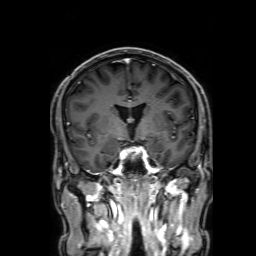
3 Tesla brain MRI.
Series: 3D T1-weighted with SENSE.
Study: ring-enhancing brain masses.